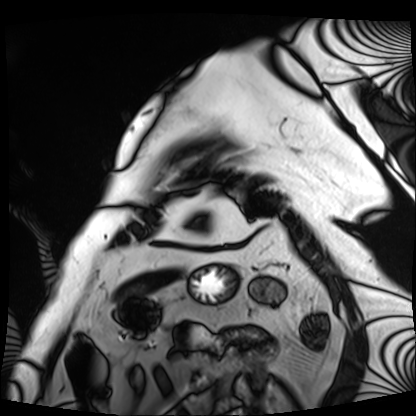
Cardiac MRI.
Subject group: patient.